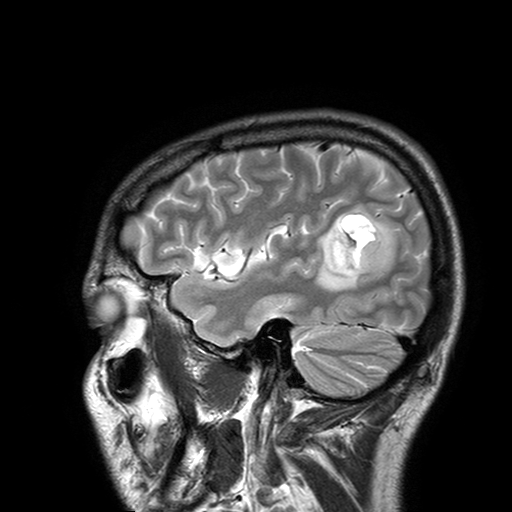
<case>
<modality>
  <type>brain MRI</type>
  <field_strength>3T</field_strength>
</modality>
<series>T2-weighted turbo spin echo with SENSE</series>
<study_topic>ring-enhancing brain masses</study_topic>
</case>